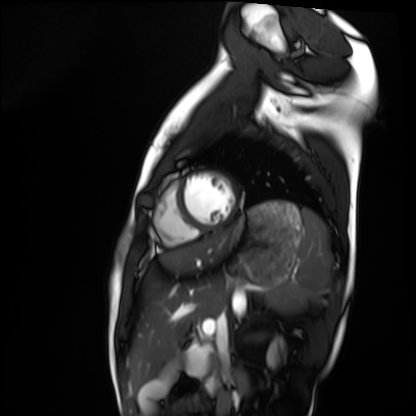
  modality: cardiac MRI
  cohort: healthy volunteer